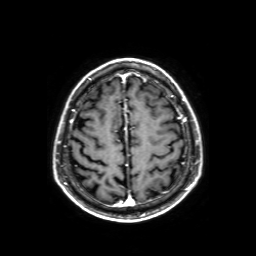
3 Tesla brain MRI.
Series: axial T1-weighted fusion image.
Study: ring-enhancing brain masses.